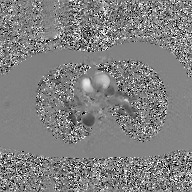
2D phase-contrast cine MRI of the ascending aorta, GAN super-resolution reconstruction.